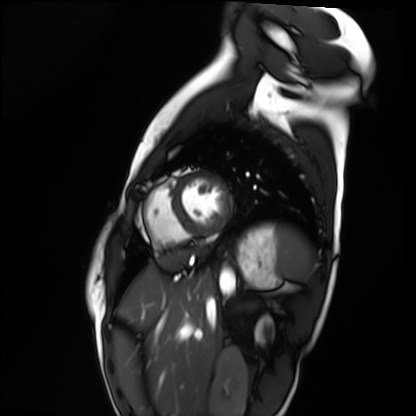
Summary: Cardiac MRI. Subject group: healthy volunteer.